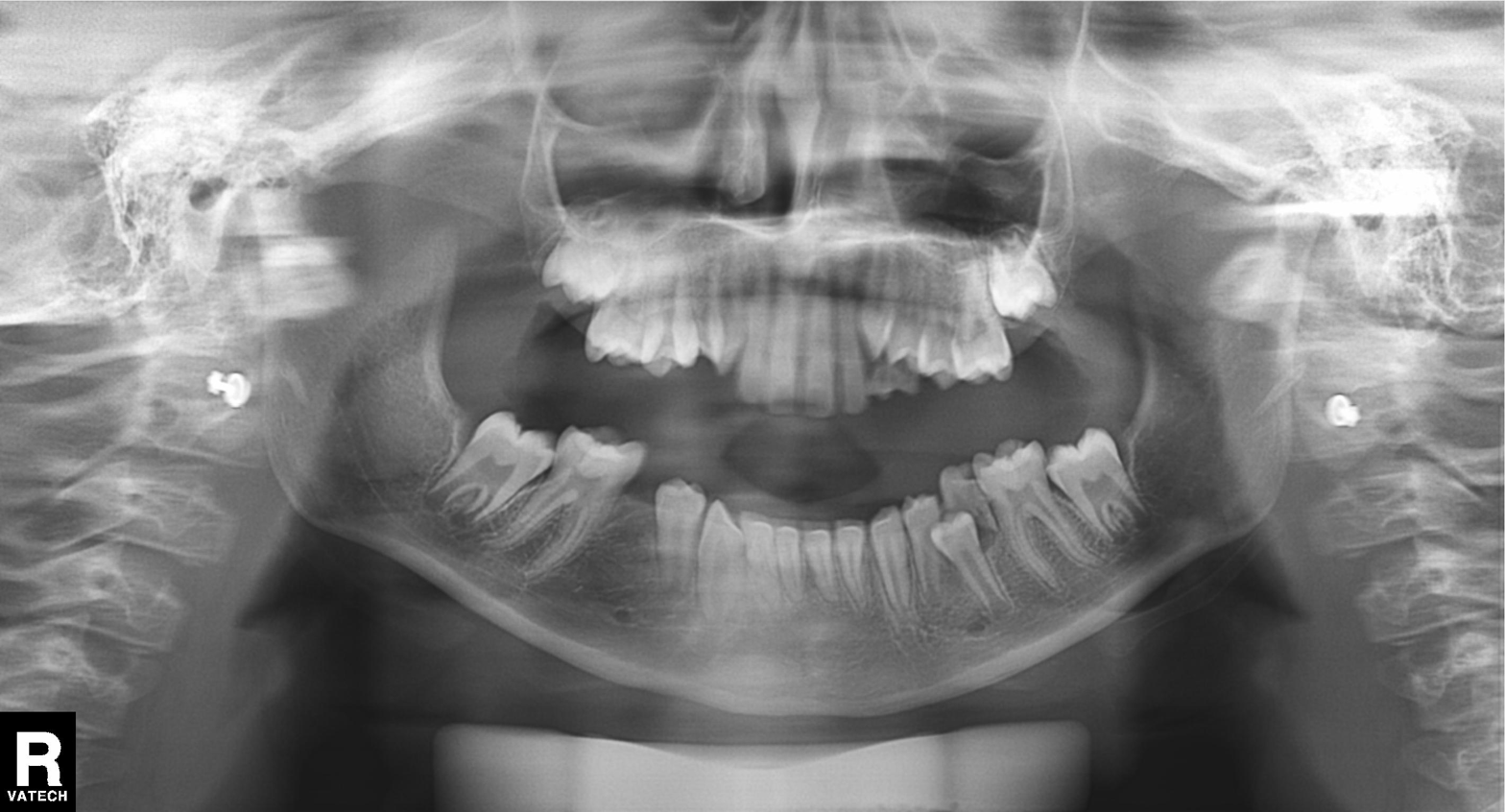
Panoramic dental radiograph (orthopantomogram). Finding: alveolar bone loss.